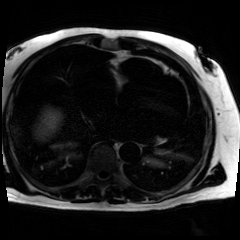
{
  "modality": "chemical-shift-encoded cardiac MRI"
}